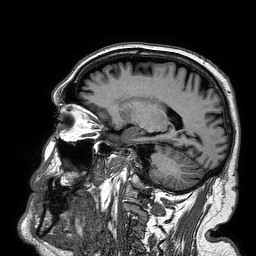
* modality · 3 Tesla brain MRI
* series · 3D T1-weighted turbo field echo
* study · ring-enhancing brain masses